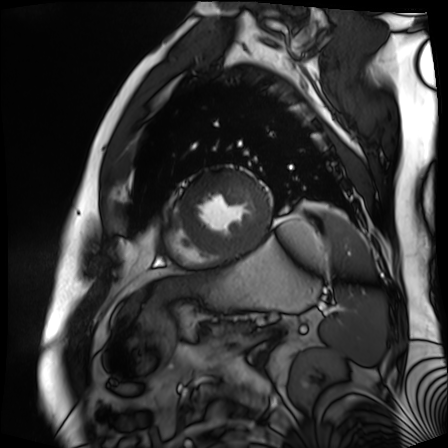
Cardiac MR image of the myocardium. Subject cohort: cardiac patient.